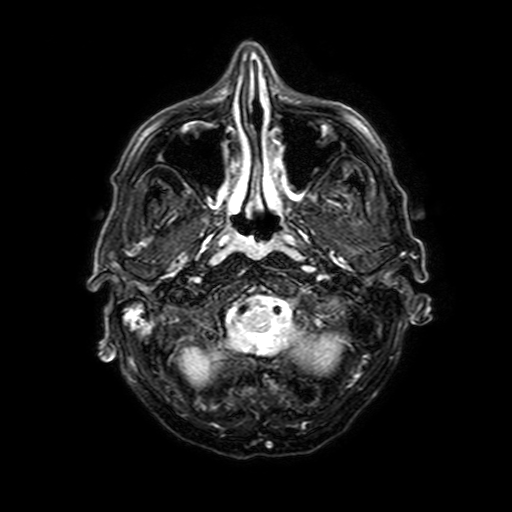
<record>
  <modality>
    <type>brain MRI</type>
    <field_strength>3T</field_strength>
  </modality>
  <series>FLAIR with SPAIR, 3 mm</series>
  <study_topic>ring-enhancing brain masses</study_topic>
</record>